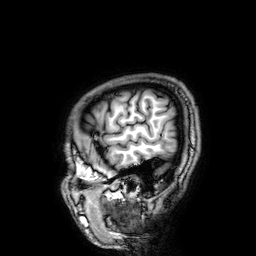
{
  "modality": {
    "type": "brain MRI",
    "field_strength": "3T"
  },
  "series": "3D T1-weighted",
  "study_topic": "ring-enhancing brain masses"
}